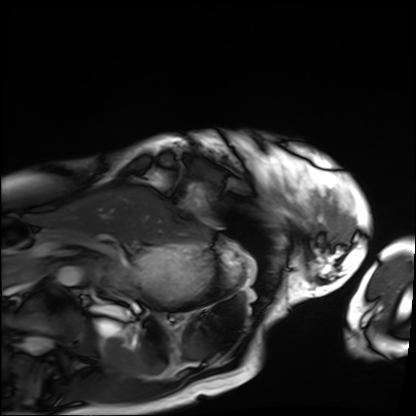
<scan>
<modality>cardiac MRI</modality>
<cohort>patient</cohort>
</scan>